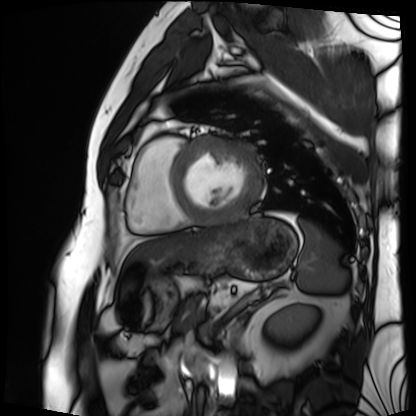
{"modality": "cardiac MRI", "cohort": "patient"}